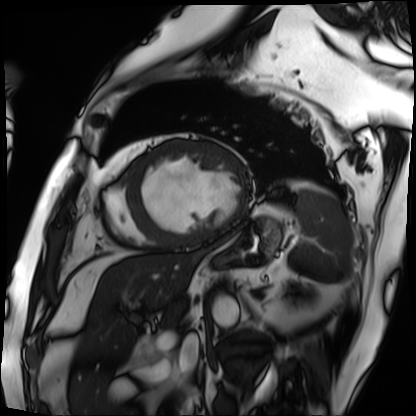
<study>
  <modality>cardiac MRI</modality>
  <cohort>patient</cohort>
</study>